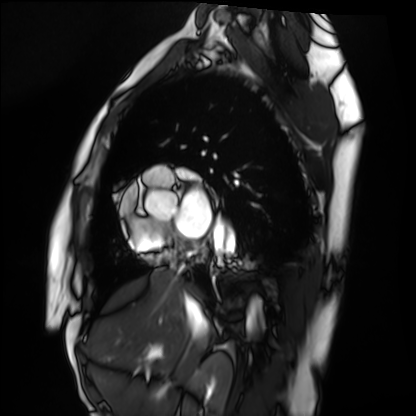
Cardiac MRI. Subject group: healthy volunteer.